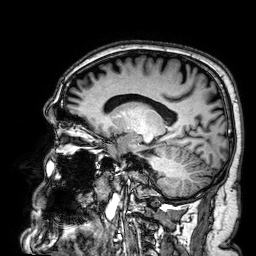
3 Tesla brain MRI. Series: 3D T1-weighted. Study: ring-enhancing brain masses.